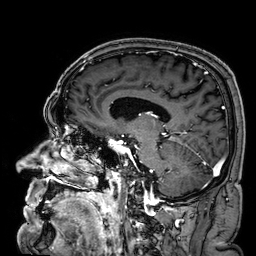
3 Tesla brain MRI. Series: 3D T1-weighted. Study: ring-enhancing brain masses.